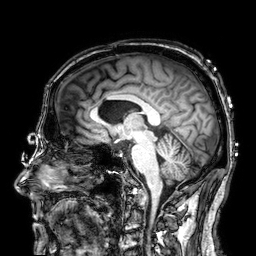
Q: What kind of scan is this?
A: 3 Tesla brain MRI.
Q: Series?
A: 3D T1-weighted.
Study: ring-enhancing brain masses.